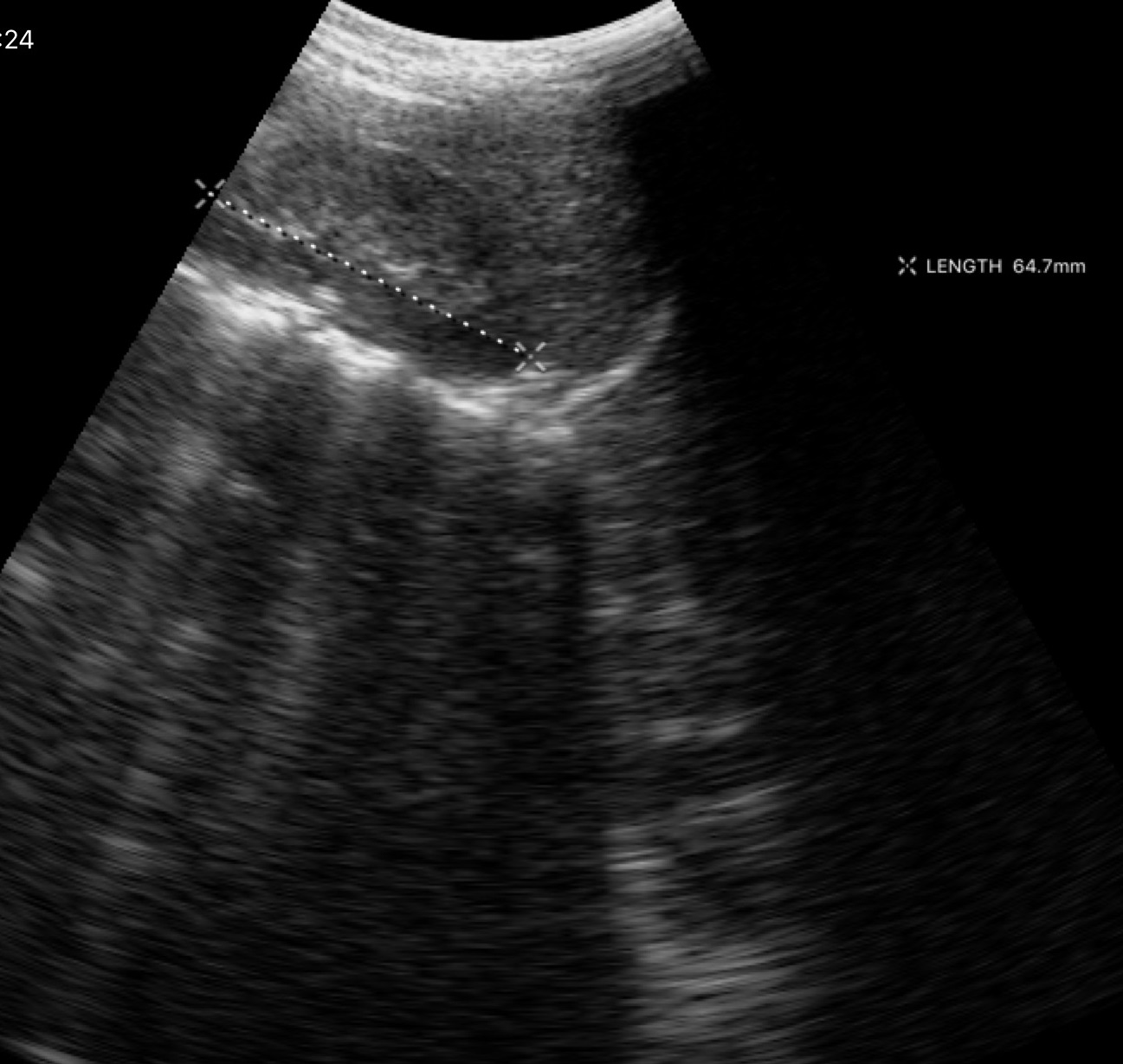
Genitourinary ultrasound.